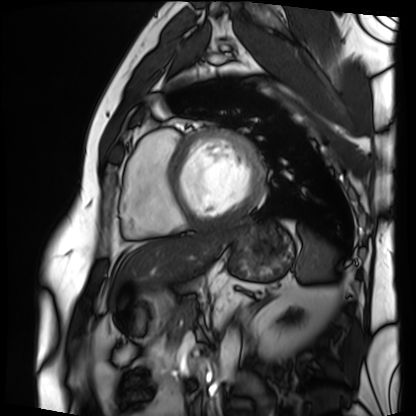
Clinical context: Cardiac MRI. Subject group: patient.